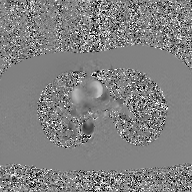
modality: 2D phase-contrast cine MRI of the ascending aorta, GAN super-resolution reconstruction.